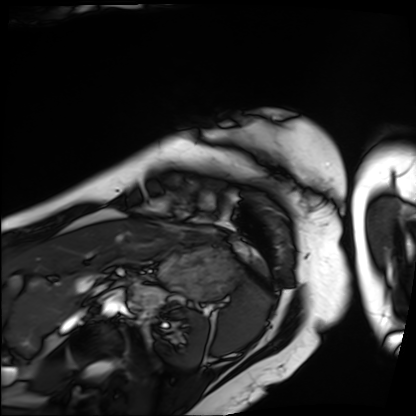
Summary:
Cardiac MRI. Subject group: patient.